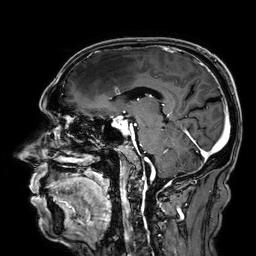
Case summary: 3 Tesla brain MRI. Series: 3D T1-weighted. Study: ring-enhancing brain masses.